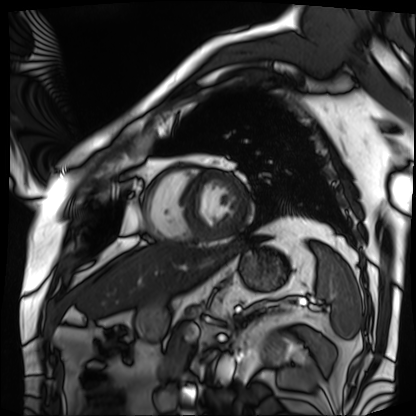
Clinical context: Cardiac MRI. Subject group: patient.